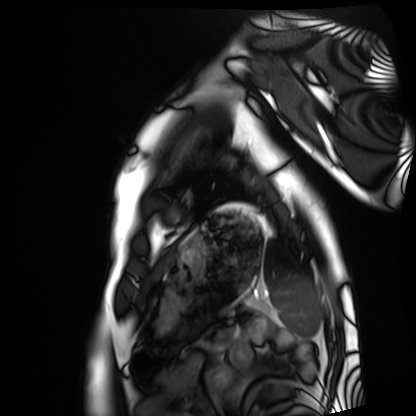
Cardiac MRI.
Subject group: healthy volunteer.